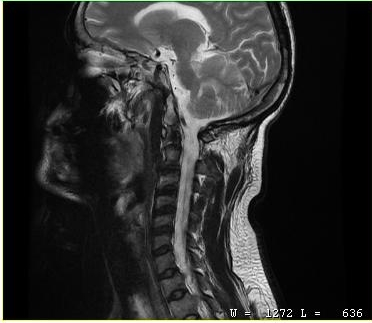
{
  "modality": {
    "type": "cervical spine MRI"
  },
  "study_topic": "cervical spondylosis"
}